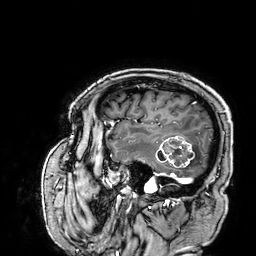
3 Tesla brain MRI. Series: 3D T1-weighted. Study: ring-enhancing brain masses.